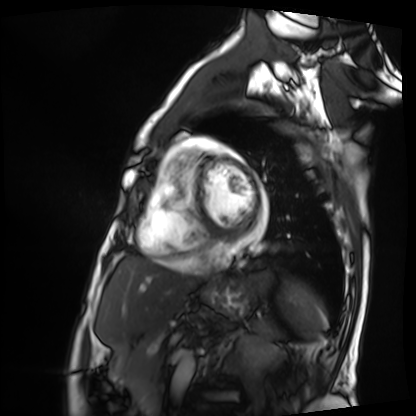
Case summary: Cardiac MRI. Subject group: patient.